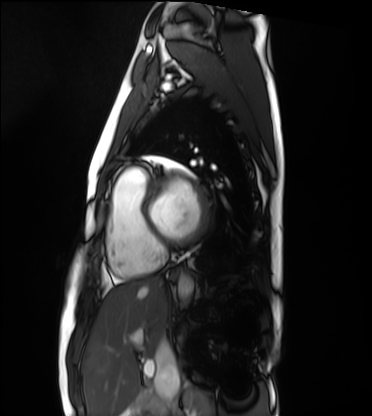
Cardiac MRI. Subject group: healthy volunteer.